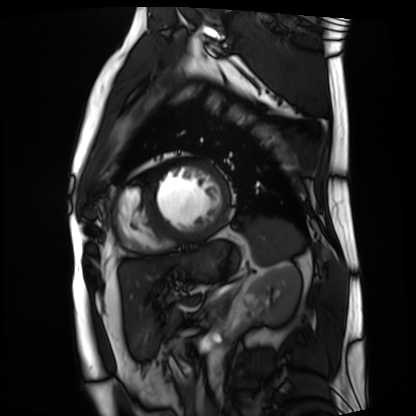
Summary: Cardiac MRI. Subject group: patient.